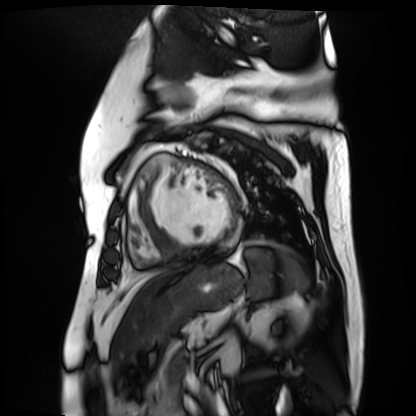
Cardiac MR image of the myocardium. Subject cohort: cardiac patient.